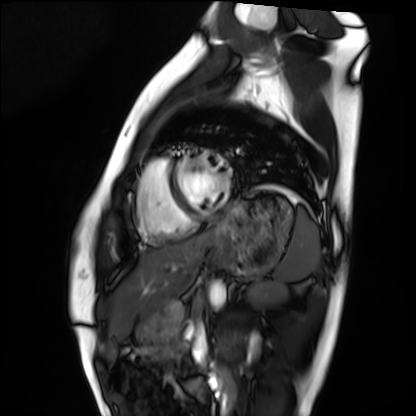
  modality: cardiac MRI
  cohort: healthy volunteer